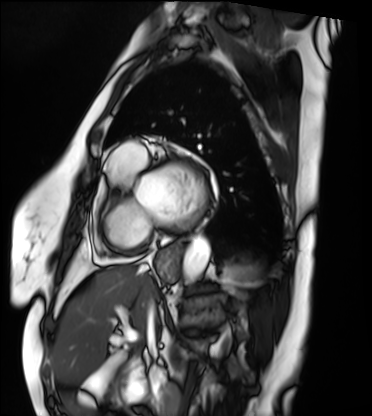
modality: cardiac MRI
cohort: patient